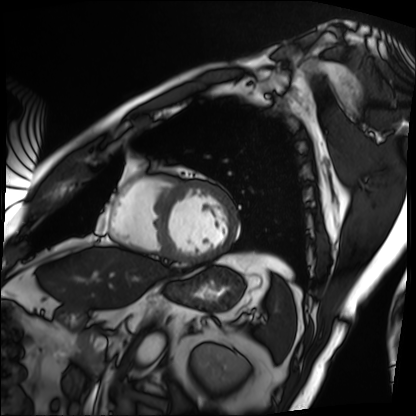
Cardiac MRI. Subject group: patient.